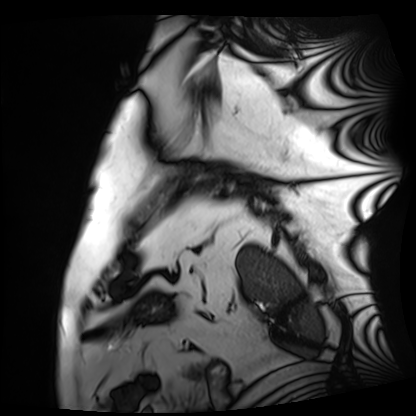
Cardiac MRI. Subject group: patient.